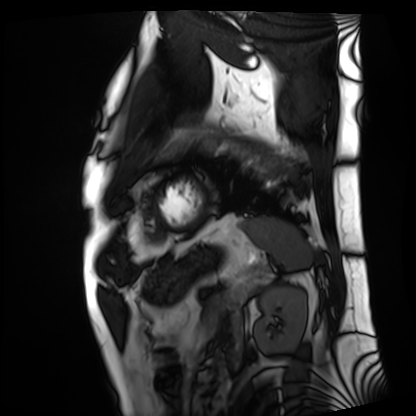
modality = cardiac MRI; subject group = patient.